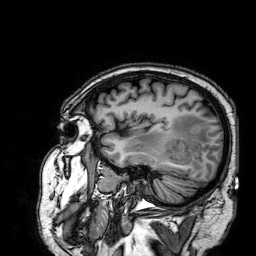
modality: 3 Tesla brain MRI | series: 3D T1-weighted | study: ring-enhancing brain masses.